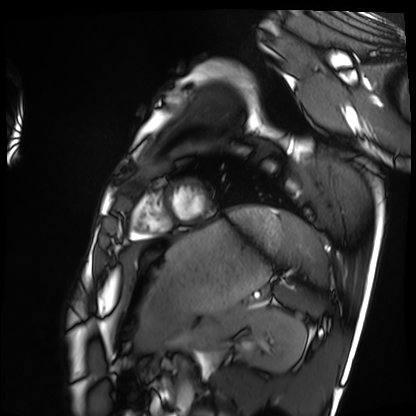
Clinical context:
Cardiac MRI. Subject group: healthy volunteer.